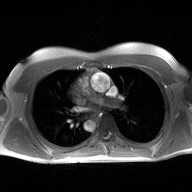
* modality · 2D phase-contrast cine MRI of the ascending aorta